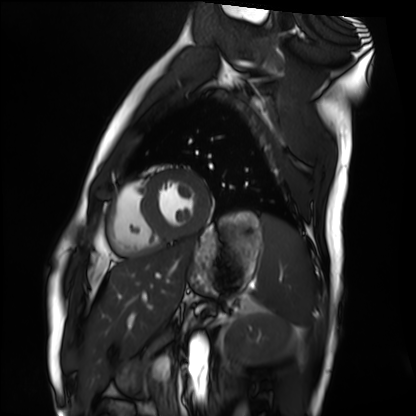
Summary: Cardiac MRI. Subject group: healthy volunteer.